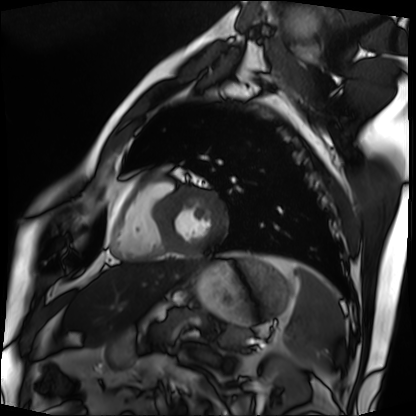
Cardiac MRI.
Subject group: patient.